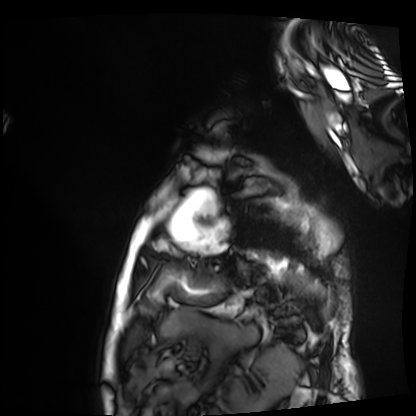
– modality — cardiac MRI
– subject group — patient